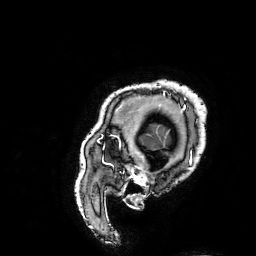
Case:
– modality: 3 Tesla brain MRI
– series: 3D T1-weighted turbo field echo with SENSE
– study: ring-enhancing brain masses